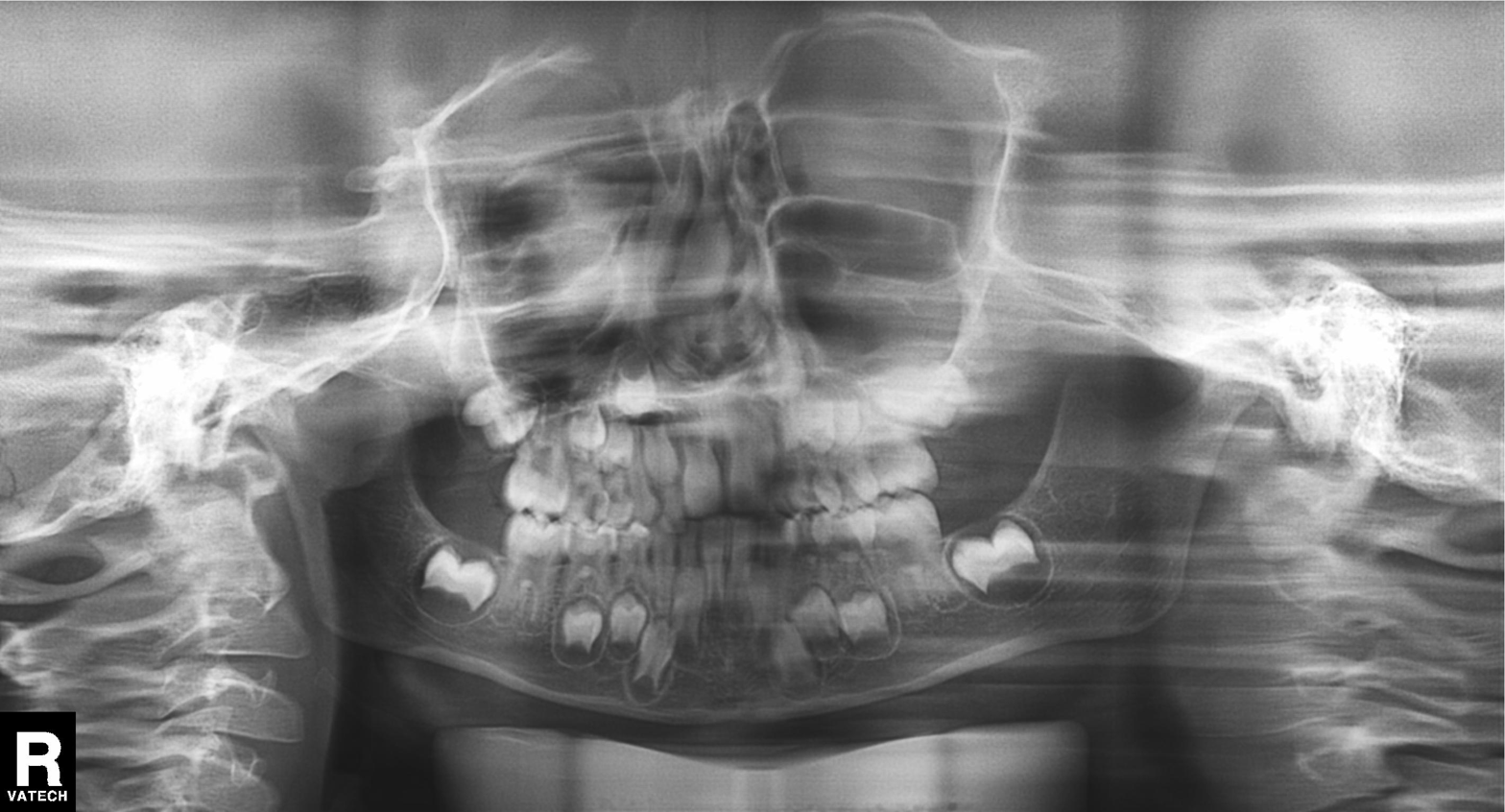
Q: What kind of scan is this?
A: Panoramic dental radiograph (orthopantomogram).
Q: What is the radiographic finding?
A: Tooth impaction.